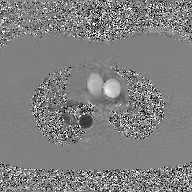
Case summary:
2D phase-contrast cine MRI of the ascending aorta, GAN super-resolution reconstruction.